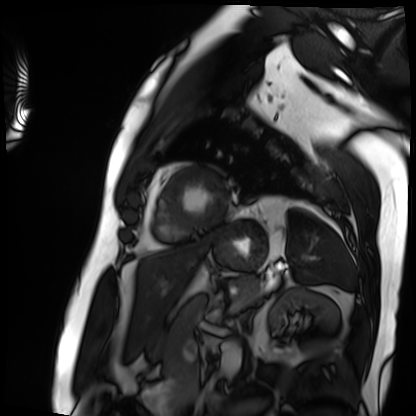
Cardiac MRI. Subject group: patient.